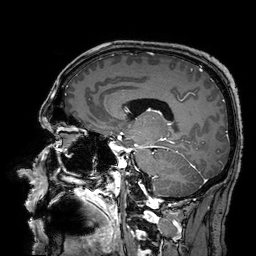
Summary:
3 Tesla brain MRI. Series: 3D T1-weighted turbo field echo with SENSE. Study: ring-enhancing brain masses.